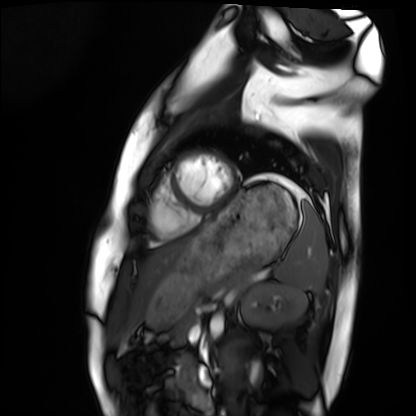
Case:
- modality: cardiac MRI
- subject group: healthy volunteer